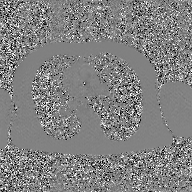
modality — 2D phase-contrast cine MRI of the ascending aorta, GAN super-resolution reconstruction.